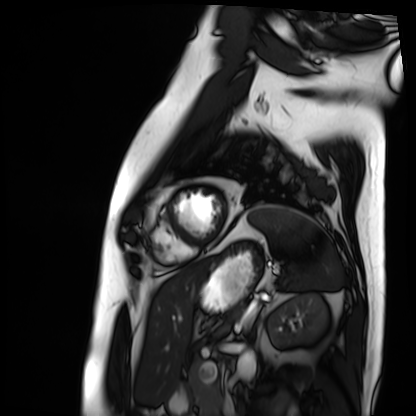
Clinical context:
Cardiac MRI. Subject group: patient.